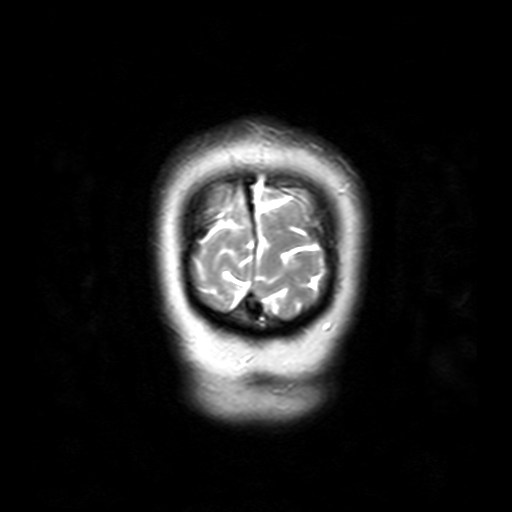
• modality · 3 Tesla brain MRI
• series · T2-weighted turbo spin echo with SENSE
• study · ring-enhancing brain masses